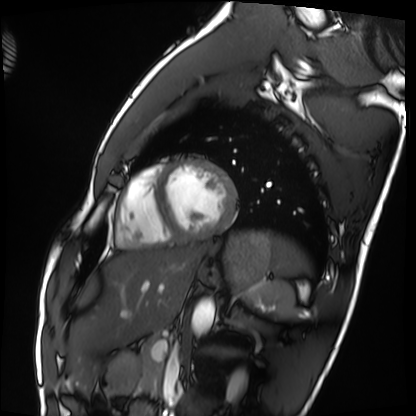
Case:
* modality: cardiac MRI
* subject group: healthy volunteer